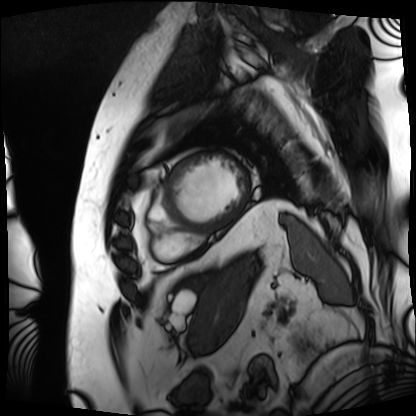
Case summary: Cardiac MRI. Subject group: patient.